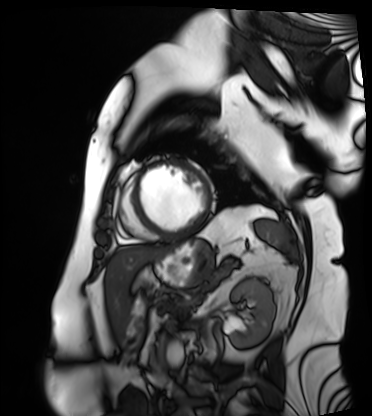
<case>
<modality>cardiac MRI</modality>
<cohort>patient</cohort>
</case>